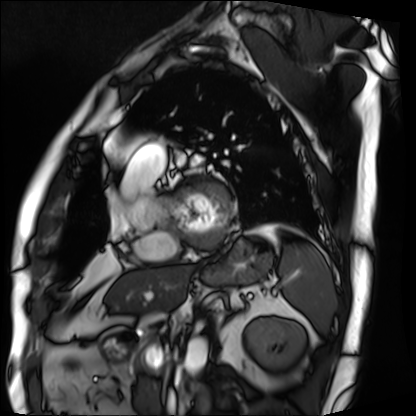
{"modality": "cardiac MRI", "cohort": "patient"}